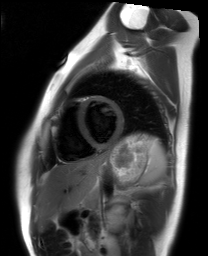
modality = cardiac MRI; subject group = healthy volunteer.